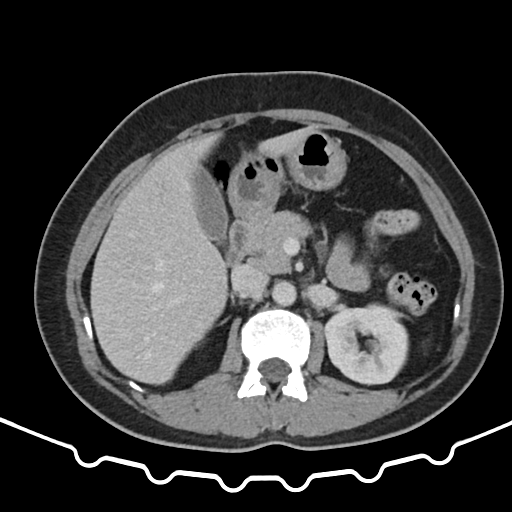
Multiphase abdominal CT, liver, portal venous phase. Patient: female, age 52.